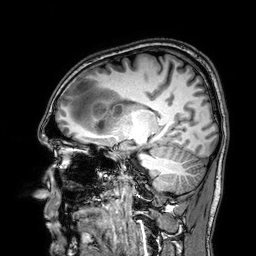
modality: 3 Tesla brain MRI | series: 3D T1-weighted | study: ring-enhancing brain masses.